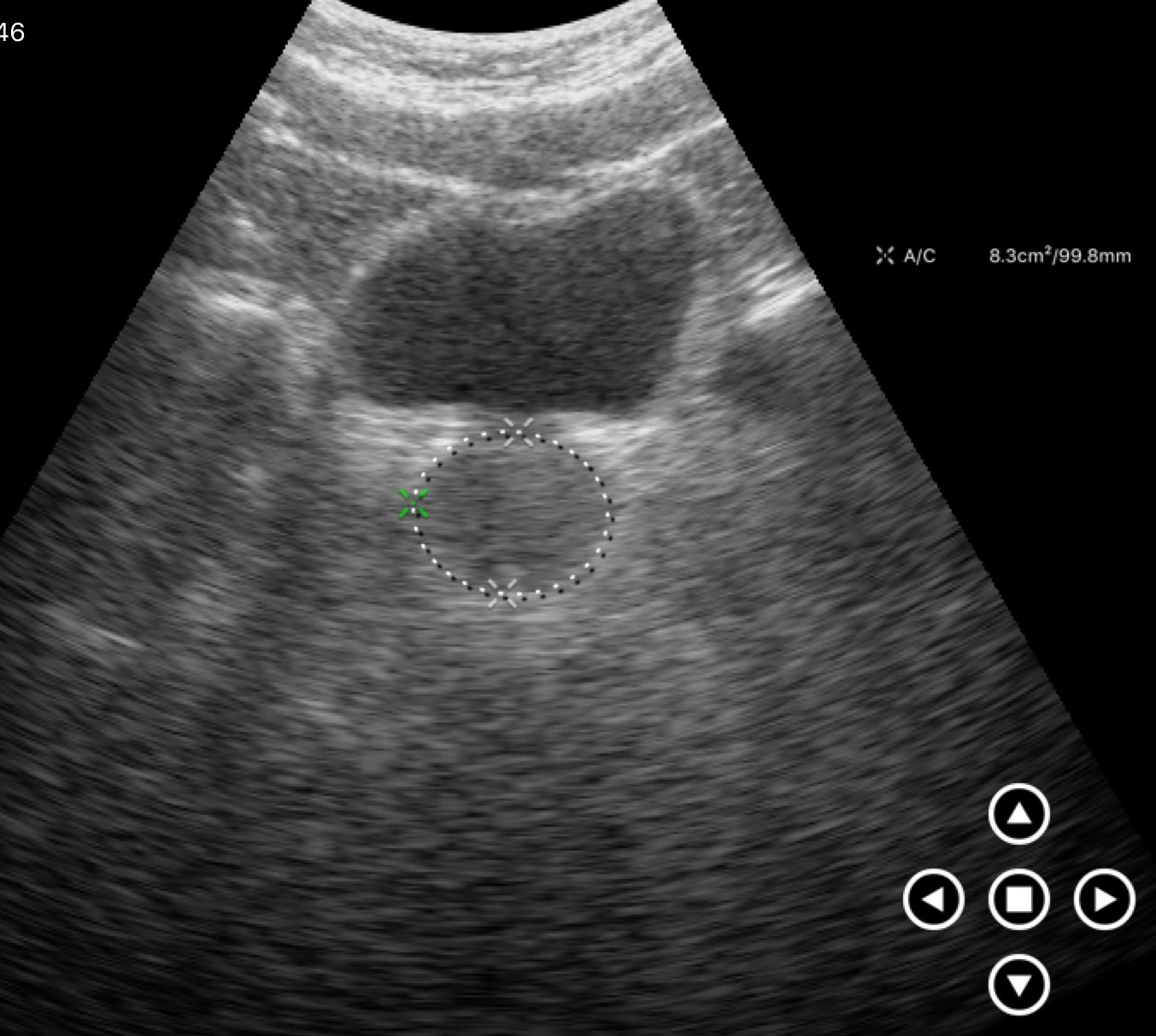
Q: What kind of scan is this?
A: Genitourinary ultrasound.